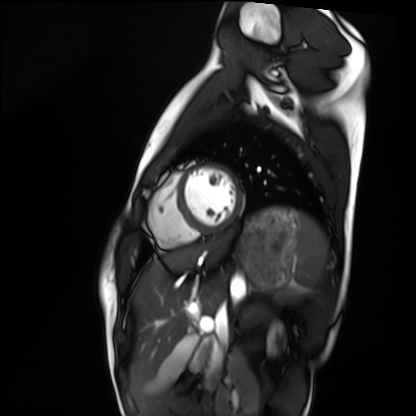
modality: cardiac MRI | subject group: healthy volunteer.